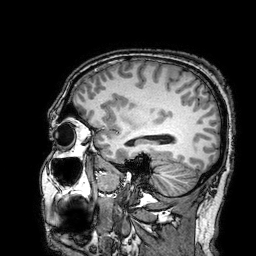
3 Tesla brain MRI. Series: 3D T1-weighted turbo field echo with SENSE. Study: ring-enhancing brain masses.